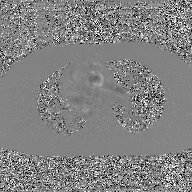
2D phase-contrast cine MRI of the ascending aorta, GAN super-resolution reconstruction.